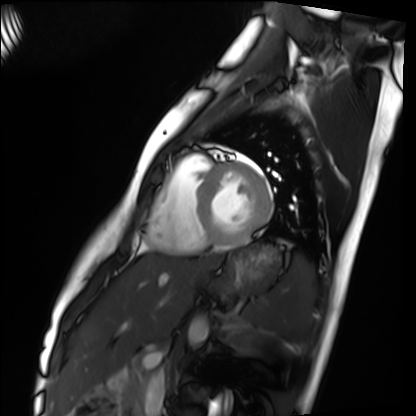
Summary:
Cardiac MRI. Subject group: healthy volunteer.